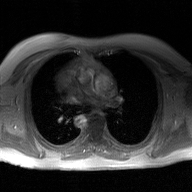
modality=2D phase-contrast cine MRI of the ascending aorta, GAN super-resolution reconstruction.